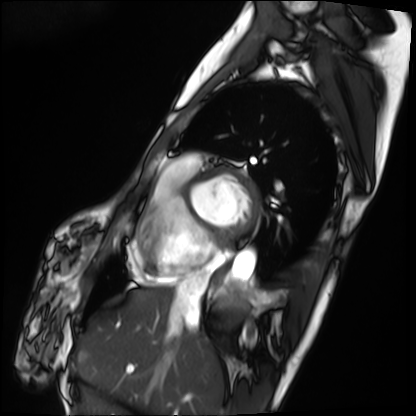
* modality: cardiac MRI
* subject group: patient